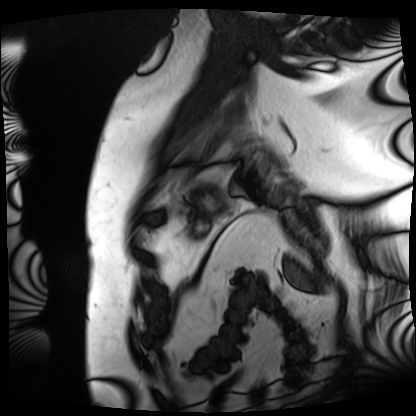
Cardiac MRI.
Subject group: patient.